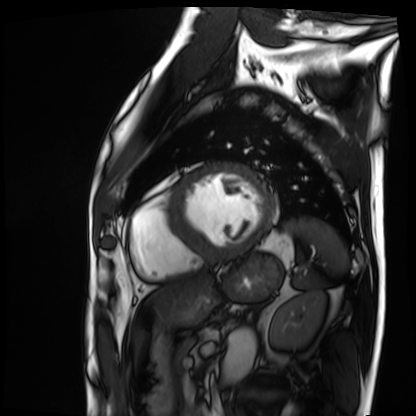
Case:
* modality · cardiac MRI
* subject group · patient